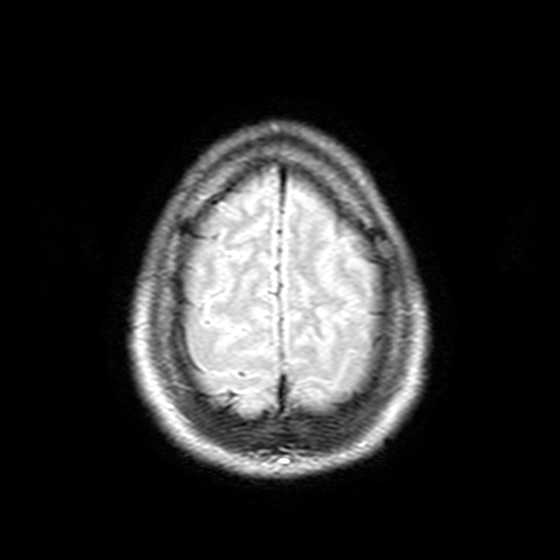
Q: What kind of scan is this?
A: 3 Tesla brain MRI.
Q: Series?
A: T2-weighted FLAIR.
Study: ring-enhancing brain masses.